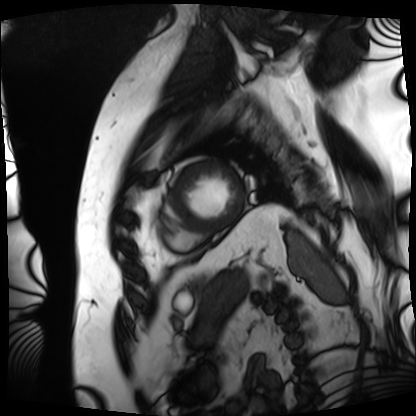
Cardiac MRI.
Subject group: patient.